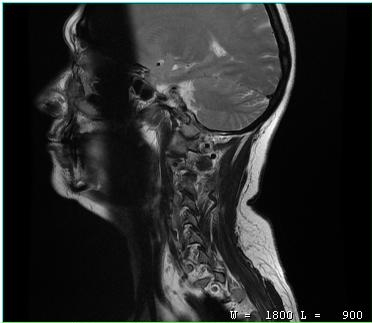
modality: MRI of the cervical spine
study: cervical spondylosis